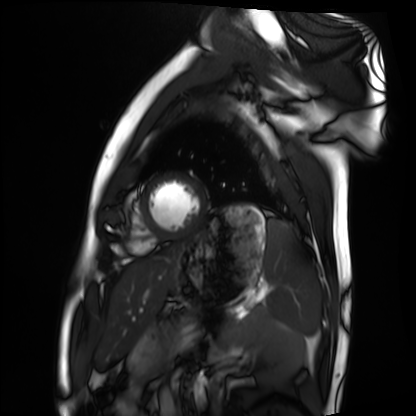
Q: What kind of scan is this?
A: Cardiac MRI.
Subject group: healthy volunteer.